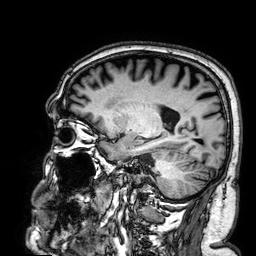
3 Tesla brain MRI.
Series: 3D T1-weighted.
Study: ring-enhancing brain masses.